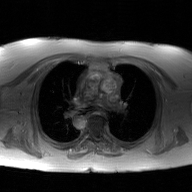
2D phase-contrast cine MRI of the ascending aorta, GAN super-resolution reconstruction.